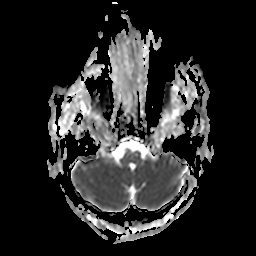
  modality:
    type: brain MRI
    field_strength: 3T
  series: apparent diffusion coefficient (ADC) map
  study_topic: ring-enhancing brain masses